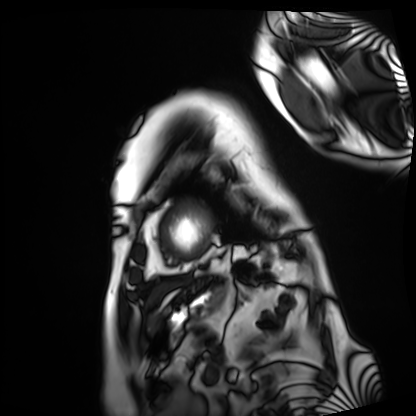
• modality · cardiac MRI
• subject group · patient